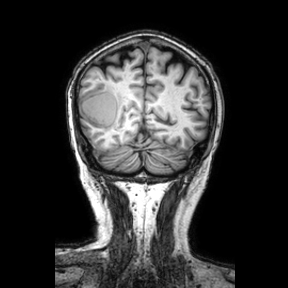
modality=3 Tesla brain MRI | series=coronal | study=ring-enhancing brain masses.